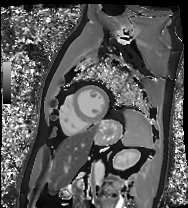
Case:
– modality · cardiac MRI
– subject group · patient